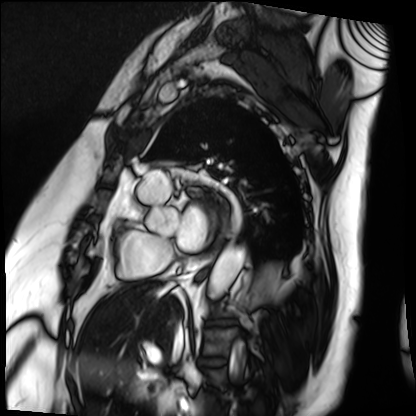
{"modality": "cardiac MRI", "cohort": "patient"}